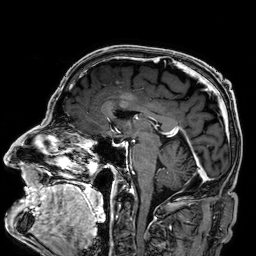
Case summary:
3 Tesla brain MRI. Series: 3D T1-weighted. Study: ring-enhancing brain masses.